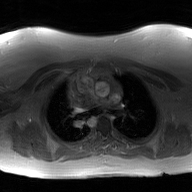
Case:
• modality · 2D phase-contrast cine MRI of the ascending aorta, GAN super-resolution reconstruction